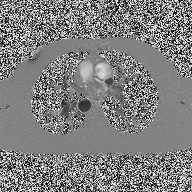
2D phase-contrast cine MRI of the ascending aorta, high-resolution GRAPPA acquisition.